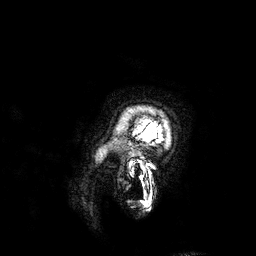
Case:
- modality · 3 Tesla brain MRI
- series · 3D T1-weighted
- study · ring-enhancing brain masses